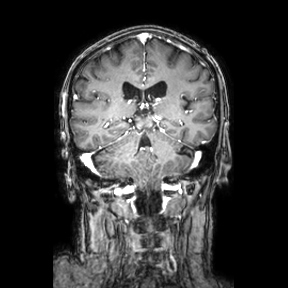
Summary:
3 Tesla brain MRI. Series: coronal. Study: ring-enhancing brain masses.